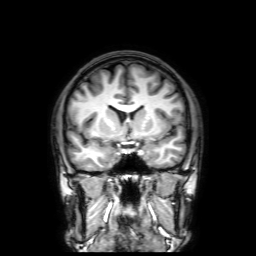
Case summary: 3 Tesla brain MRI. Study: ring-enhancing brain masses.